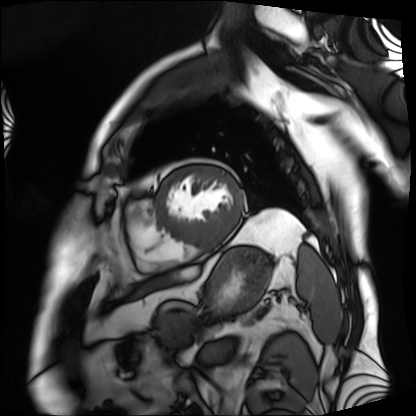
modality: cardiac MRI
cohort: patient